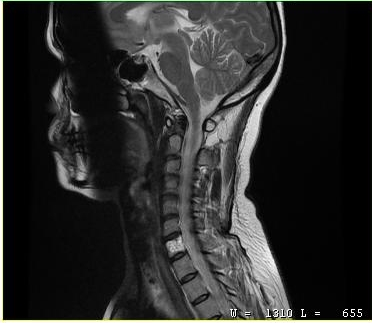
MRI of the cervical spine. Study: cervical spondylosis.